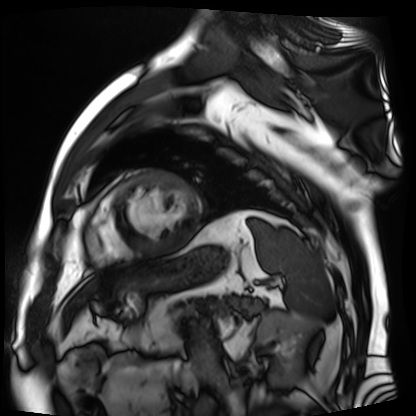
Cardiac MR image of the myocardium.
Subject cohort: cardiac patient.